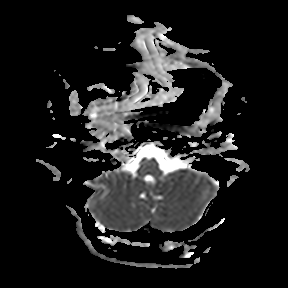
3 Tesla brain MRI.
Series: apparent diffusion coefficient (ADC) map.
Study: ring-enhancing brain masses.